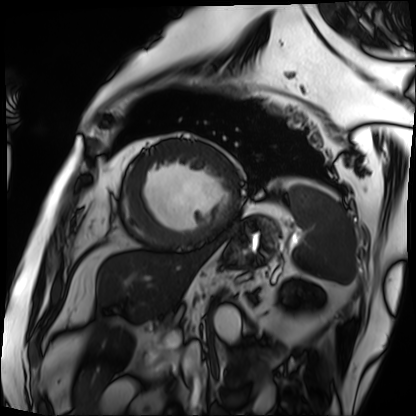
Cardiac MRI. Subject group: patient.